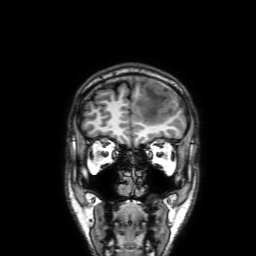
- modality · 3 Tesla brain MRI
- series · 3D T1-weighted with SENSE
- study · ring-enhancing brain masses